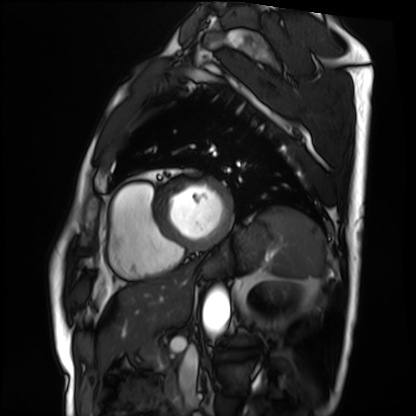
Cardiac MRI.
Subject group: patient.